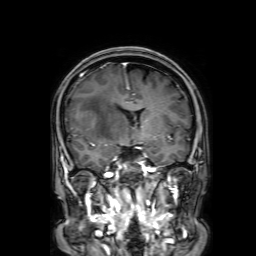
3 Tesla brain MRI. Series: 3D T1-weighted with SENSE. Study: ring-enhancing brain masses.